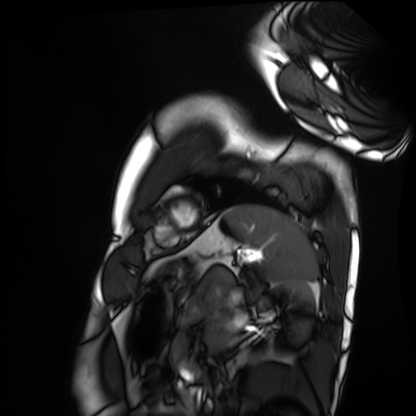
modality: cardiac MRI
cohort: healthy volunteer